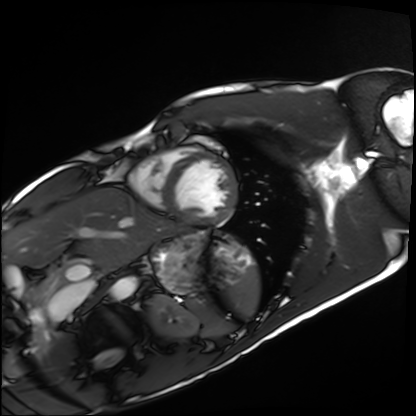
Q: What kind of scan is this?
A: Cardiac MRI.
Subject group: healthy volunteer.